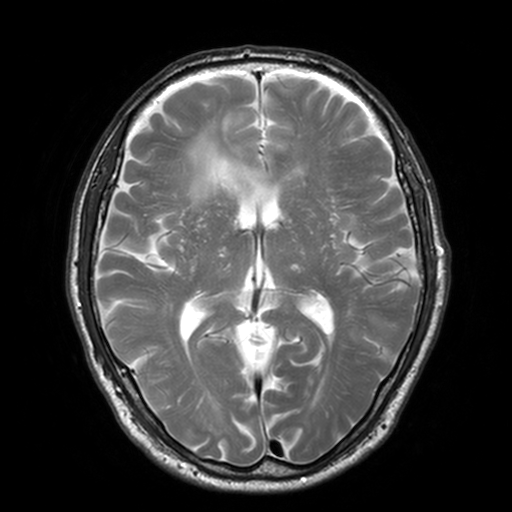
Summary:
3 Tesla brain MRI. Series: T2-weighted turbo spin echo, 3 mm. Study: ring-enhancing brain masses.